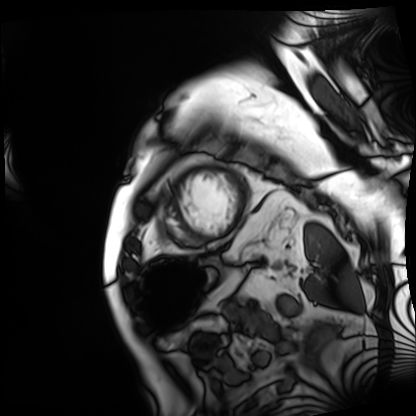
Q: What kind of scan is this?
A: Cardiac MRI.
Subject group: patient.